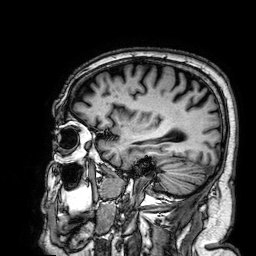
modality: 3 Tesla brain MRI; series: 3D T1-weighted; study: ring-enhancing brain masses.